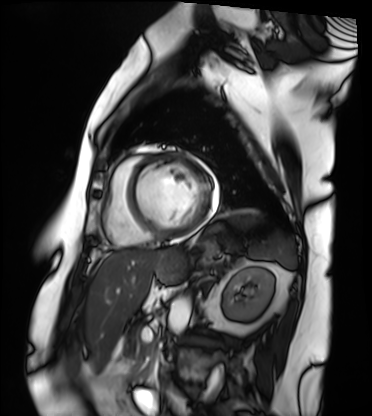
| field | value |
|---|---|
| modality | cardiac MRI |
| subject group | patient |